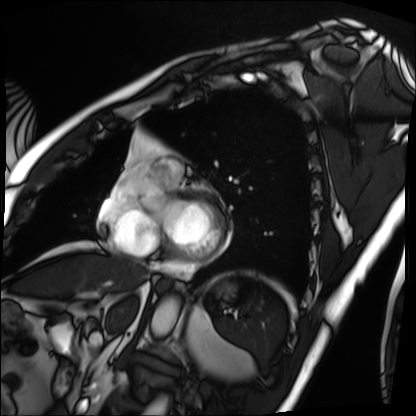
Summary:
Cardiac MRI. Subject group: patient.